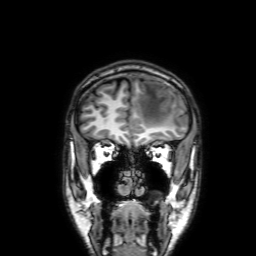
{
  "modality": {
    "type": "brain MRI",
    "field_strength": "3T"
  },
  "series": "3D T1-weighted with SENSE",
  "study_topic": "ring-enhancing brain masses"
}